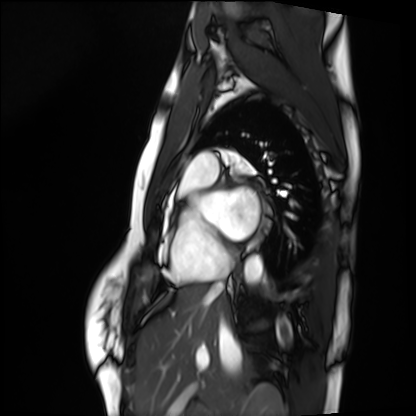
Summary: Cardiac MRI. Subject group: healthy volunteer.